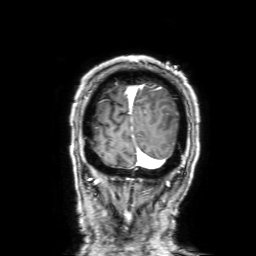
Q: What kind of scan is this?
A: 3 Tesla brain MRI.
Q: Series?
A: 3D T1-weighted with SENSE.
Study: ring-enhancing brain masses.